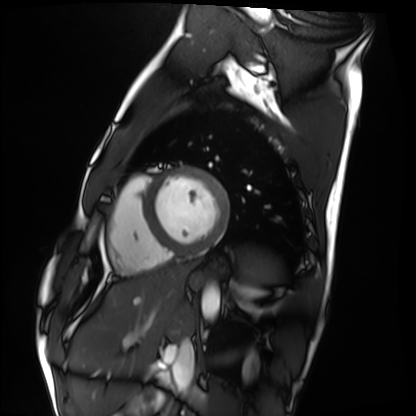
| field | value |
|---|---|
| modality | cardiac MRI |
| subject group | healthy volunteer |